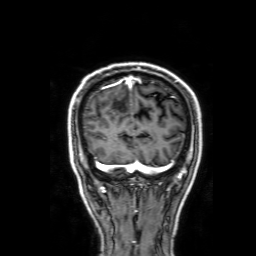
* modality · 3 Tesla brain MRI
* series · 3D T1-weighted with SENSE
* study · ring-enhancing brain masses